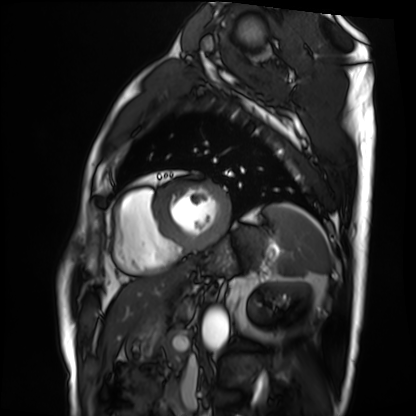
Cardiac MRI. Subject group: patient.